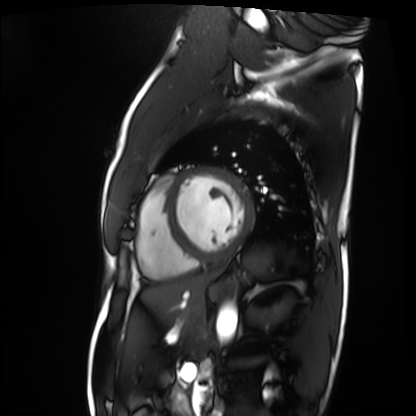
Q: What kind of scan is this?
A: Cardiac MRI.
Subject group: patient.